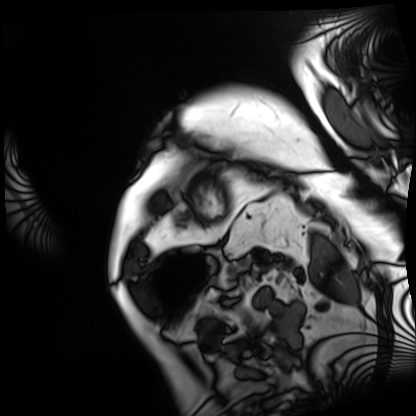
Cardiac MRI.
Subject group: patient.